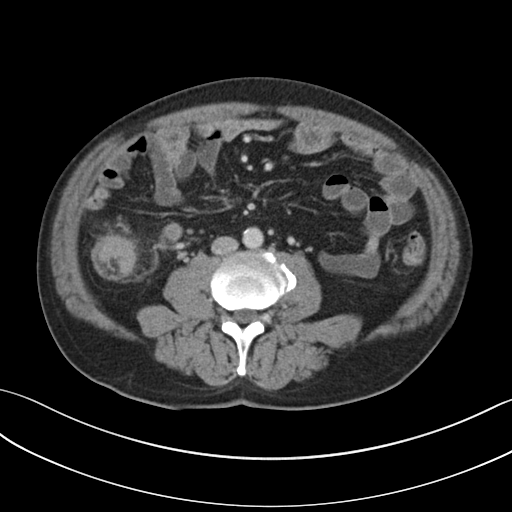
Case summary: Multiphase abdominal CT, liver, portal venous phase. Patient: male, age 57.